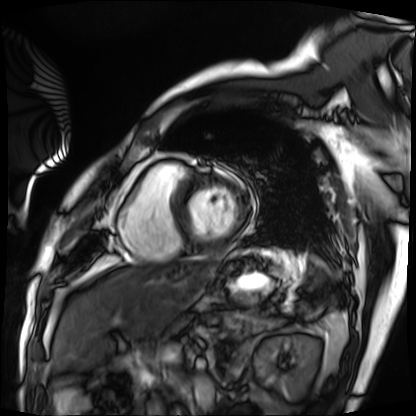
Case summary: Cardiac MRI. Subject group: patient.